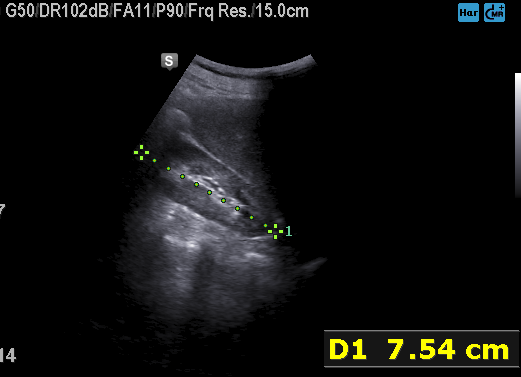
modality:
  type: genitourinary ultrasound